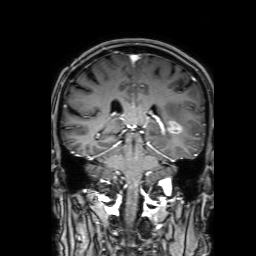
Case:
– modality — 3 Tesla brain MRI
– series — 3D T1-weighted with SENSE
– study — ring-enhancing brain masses